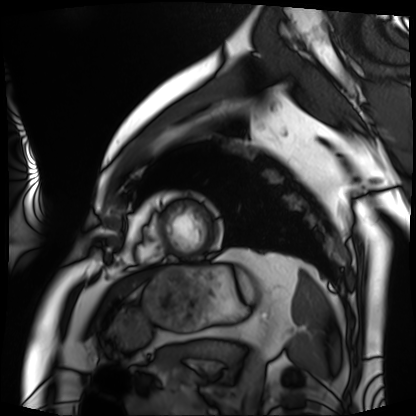
Cardiac MRI. Subject group: patient.